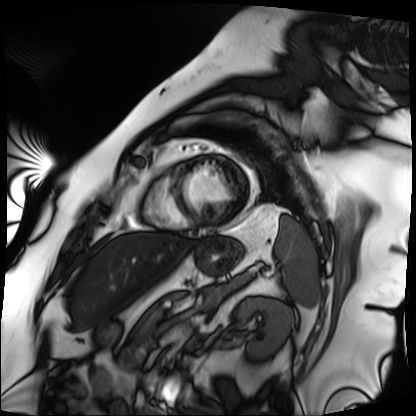
Cardiac MRI. Subject group: patient.